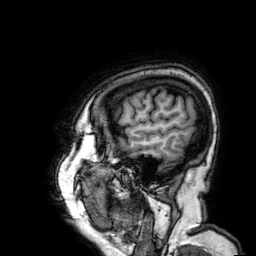
modality = 3 Tesla brain MRI
series = 3D T1-weighted
study = ring-enhancing brain masses